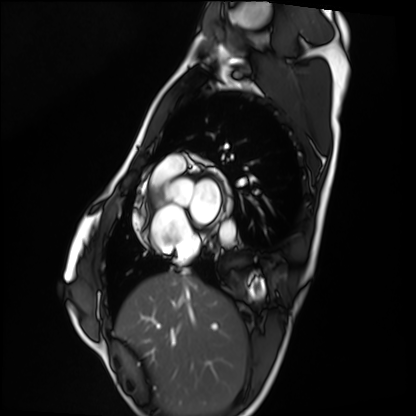
* modality · cardiac MRI
* subject group · healthy volunteer